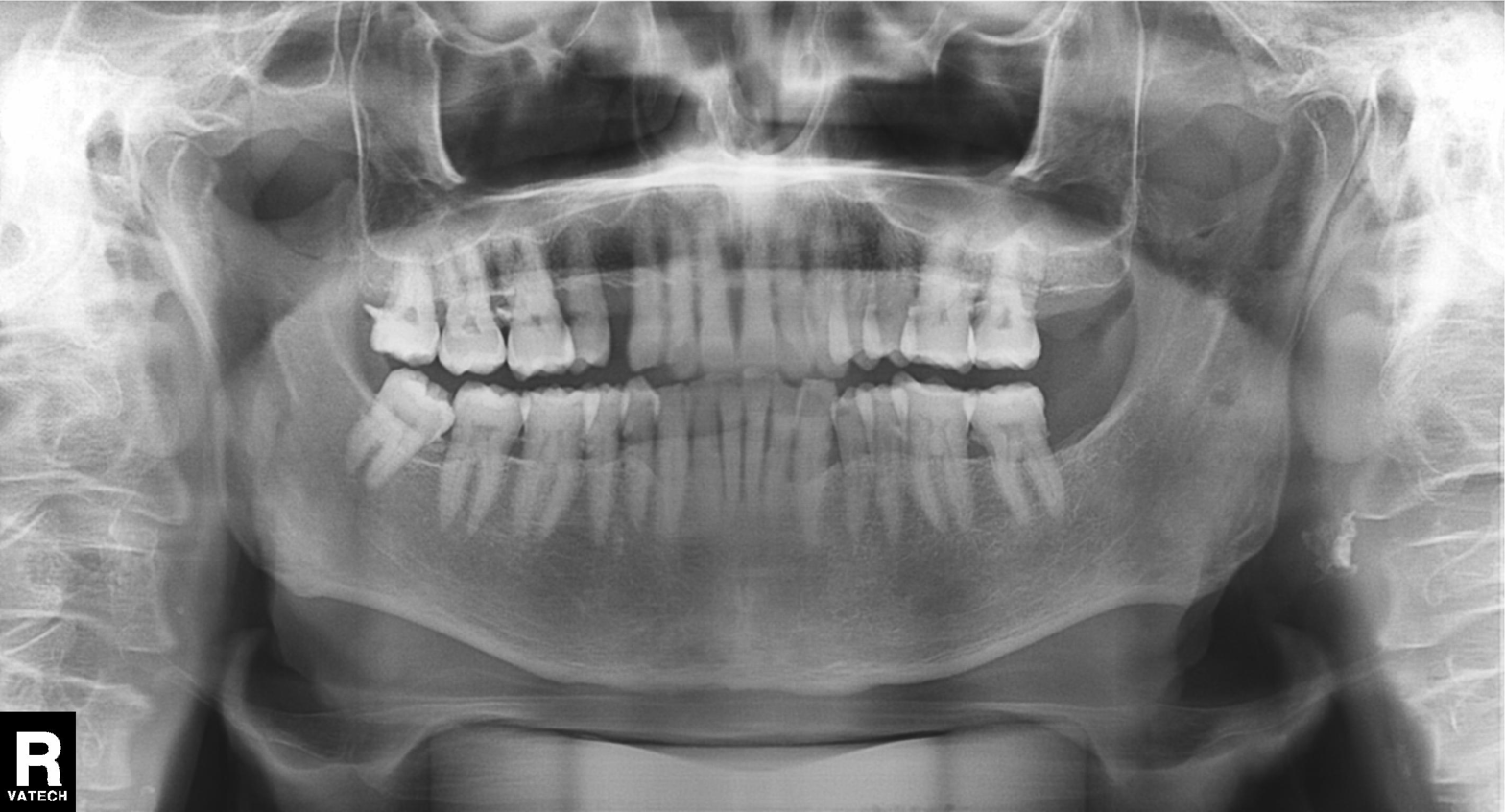
Panoramic dental radiograph (orthopantomogram). Finding: dental caries (cavities).